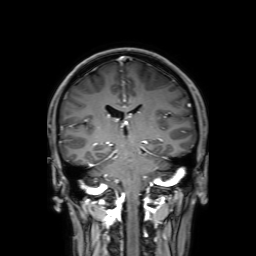
Summary: 3 Tesla brain MRI. Study: ring-enhancing brain masses.